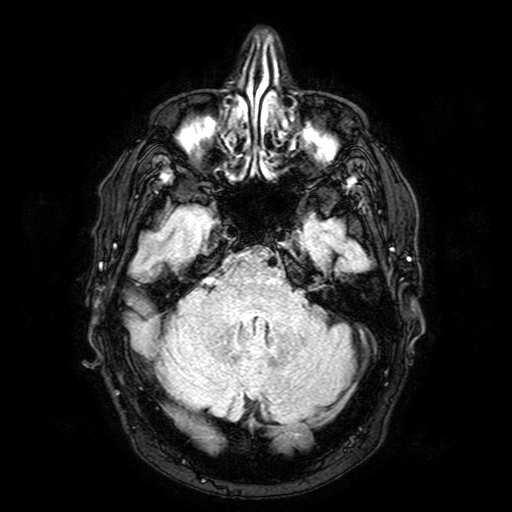
Q: What kind of scan is this?
A: 3 Tesla brain MRI.
Q: Series?
A: FLAIR with SPAIR.
Study: ring-enhancing brain masses.